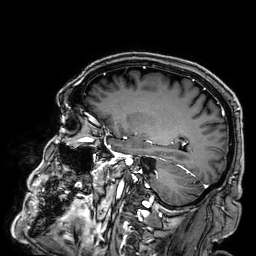
{
  "modality": {
    "type": "brain MRI",
    "field_strength": "3T"
  },
  "series": "3D T1-weighted",
  "study_topic": "ring-enhancing brain masses"
}